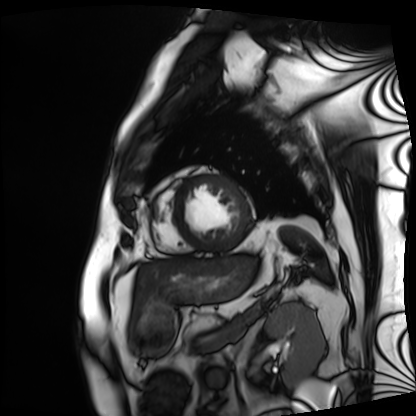
Summary:
Cardiac MRI. Subject group: patient.